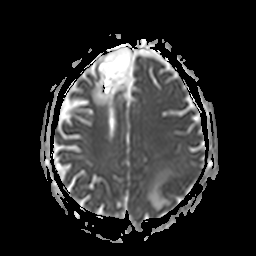
3 Tesla brain MRI. Series: apparent diffusion coefficient (ADC) map. Study: ring-enhancing brain masses.